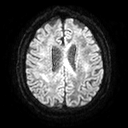
* modality: 3 Tesla brain MRI
* series: diffusion tensor imaging (medium iso)
* study: ring-enhancing brain masses